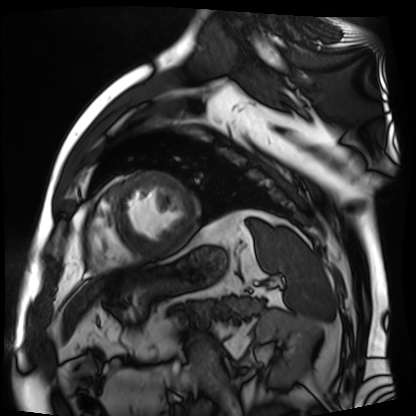
Cardiac MR image of the myocardium.
Subject cohort: cardiac patient.